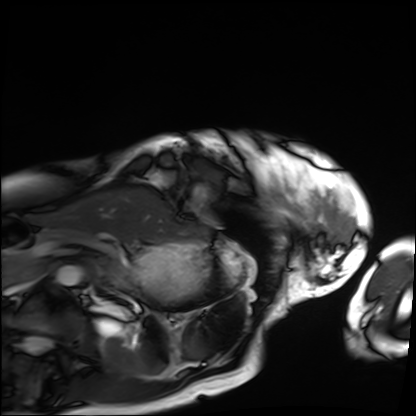
Cardiac MRI.
Subject group: patient.